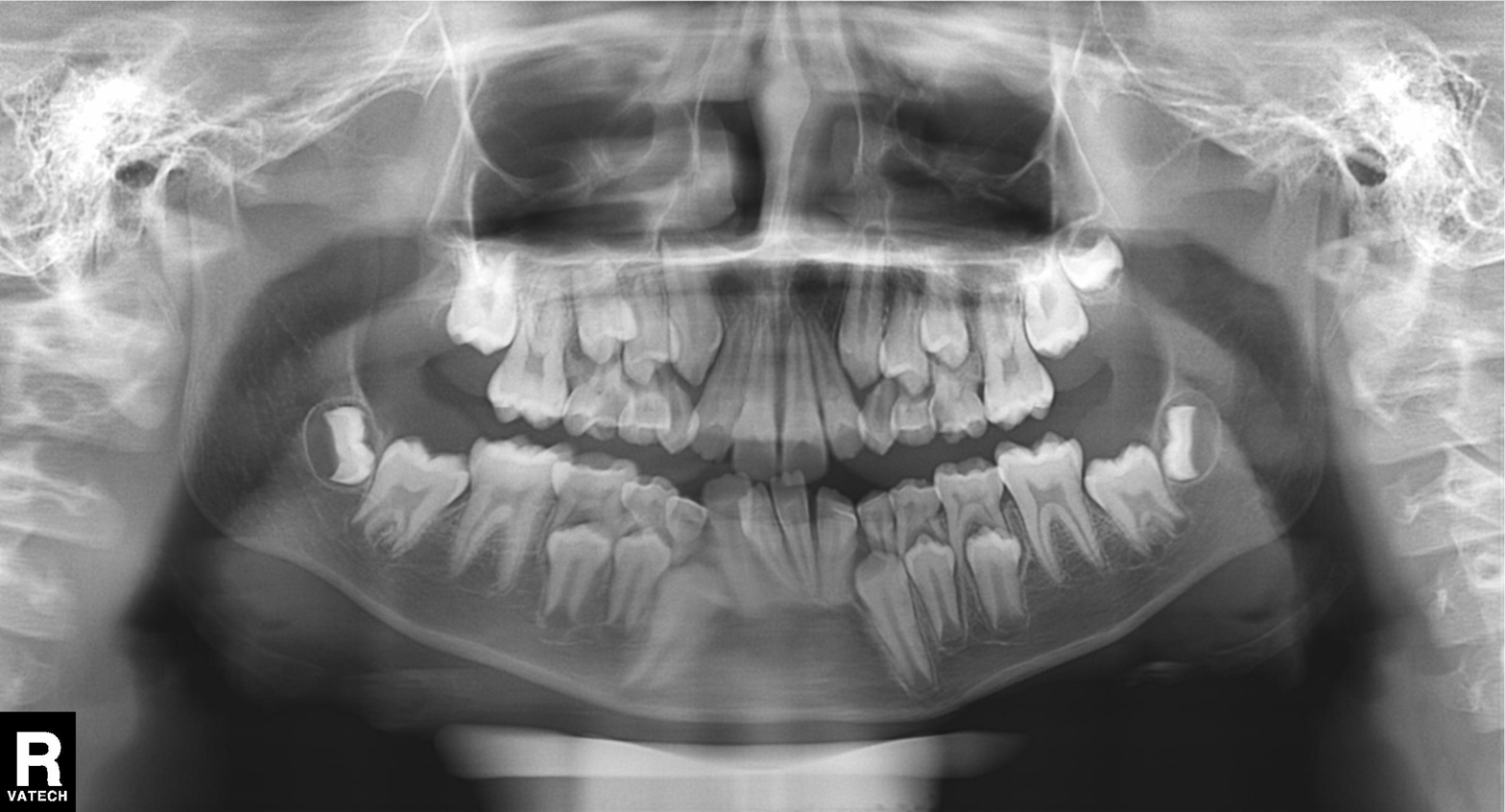
| field | value |
|---|---|
| modality | panoramic dental radiograph (orthopantomogram) |
| finding | alveolar bone loss |